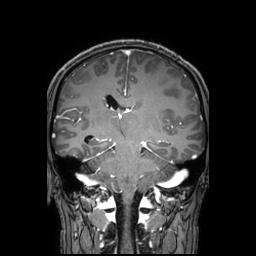
{
  "modality": {
    "type": "brain MRI",
    "field_strength": "3T"
  },
  "series": "3D T1-weighted TFE with SENSE",
  "study_topic": "ring-enhancing brain masses"
}